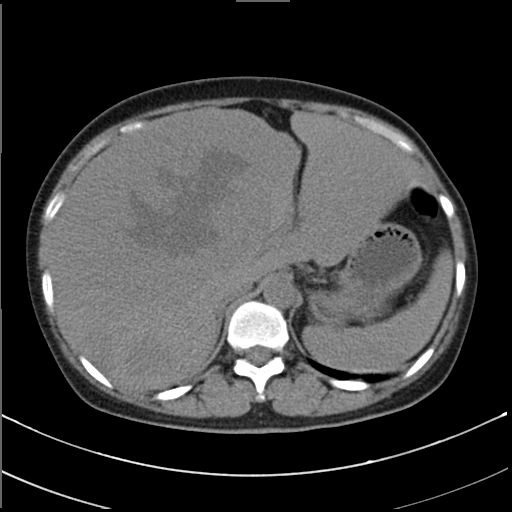
Multiphase abdominal CT, liver, non-contrast phase. Patient: female, age 48.